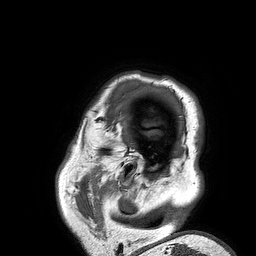
Q: What kind of scan is this?
A: 3 Tesla brain MRI.
Q: Series?
A: 3D T1-weighted turbo field echo.
Study: ring-enhancing brain masses.